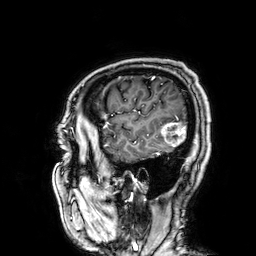
modality — 3 Tesla brain MRI
series — 3D T1-weighted
study — ring-enhancing brain masses